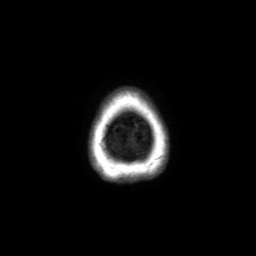
3 Tesla brain MRI.
Series: axial without contrast.
Study: ring-enhancing brain masses.